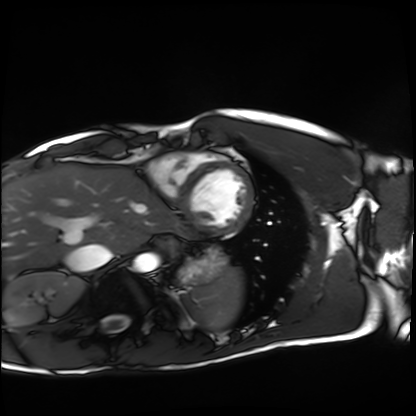
Q: What kind of scan is this?
A: Cardiac MRI.
Subject group: healthy volunteer.